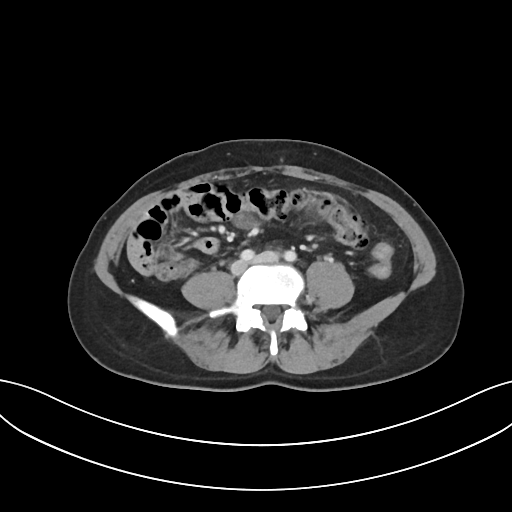
  modality:
    type: multiphase abdominal CT
    region: liver
    phase: portal venous